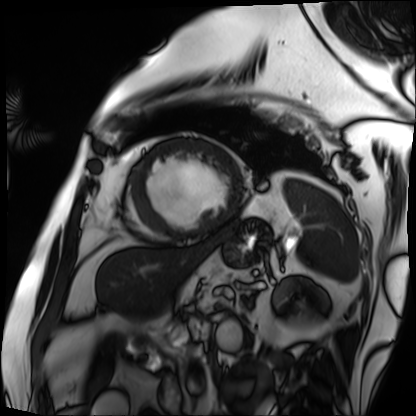
Cardiac MRI. Subject group: patient.